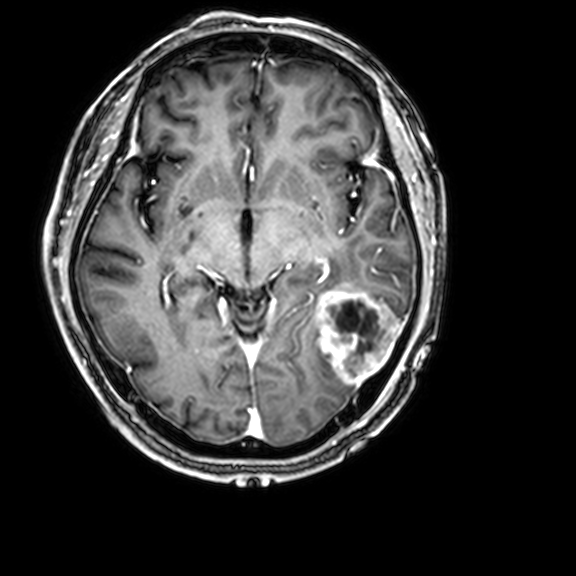
3 Tesla brain MRI.
Series: 3D T1-weighted with CLEAR.
Study: ring-enhancing brain masses.